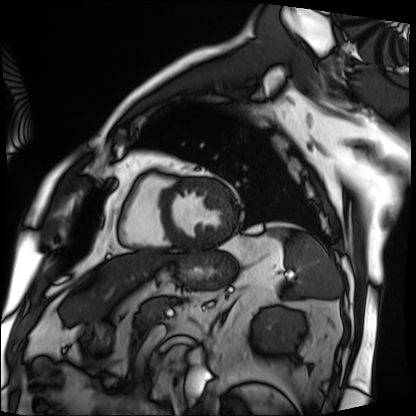
  modality: cardiac MRI
  cohort: patient